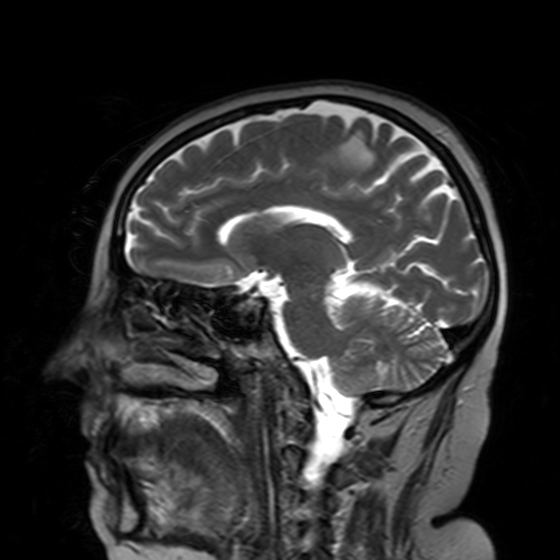
Summary:
3 Tesla brain MRI. Series: T2-weighted turbo spin echo with SENSE. Study: ring-enhancing brain masses.